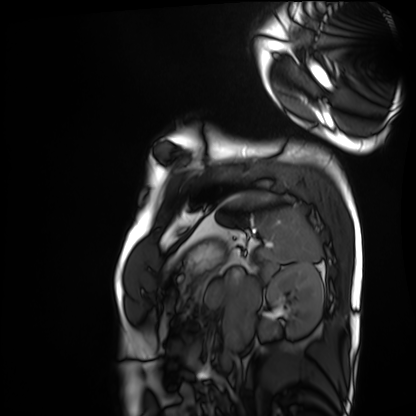
{
  "modality": "cardiac MRI",
  "cohort": "healthy volunteer"
}